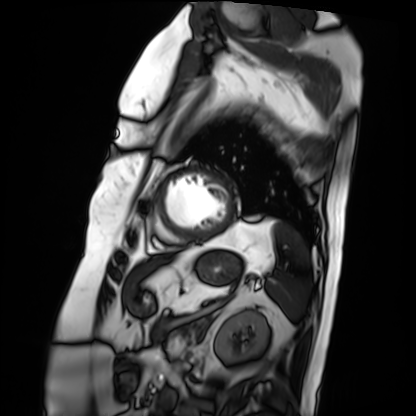
Cardiac MRI. Subject group: patient.